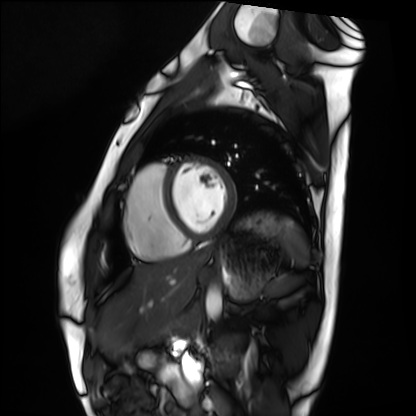
Cardiac MRI.
Subject group: healthy volunteer.